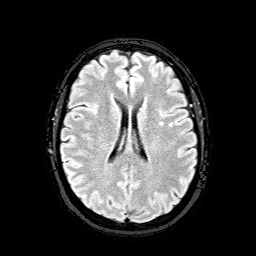
modality = 3 Tesla brain MRI; series = FLAIR with SPAIR; study = ring-enhancing brain masses.